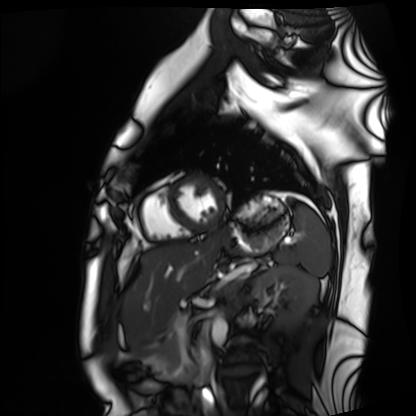
{
  "modality": "cardiac MRI",
  "cohort": "healthy volunteer"
}